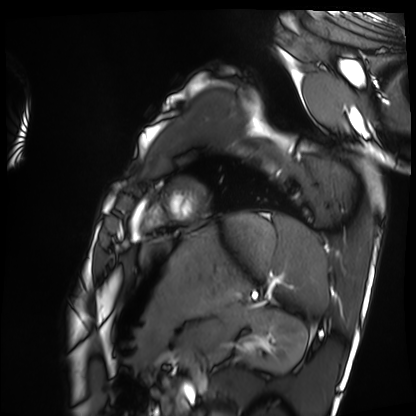
Q: What kind of scan is this?
A: Cardiac MRI.
Subject group: healthy volunteer.